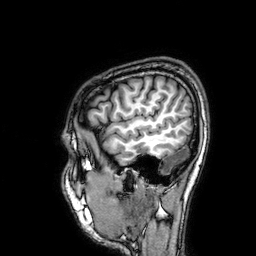
<case>
  <modality>
    <type>brain MRI</type>
    <field_strength>3T</field_strength>
  </modality>
  <study_topic>ring-enhancing brain masses</study_topic>
</case>